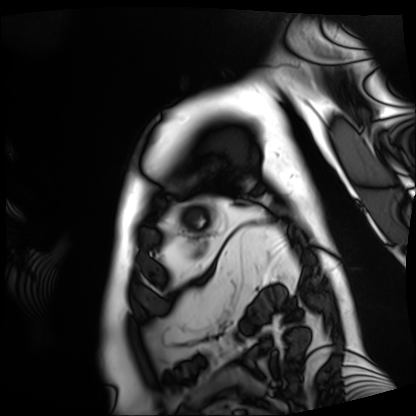
Cardiac MRI.
Subject group: patient.